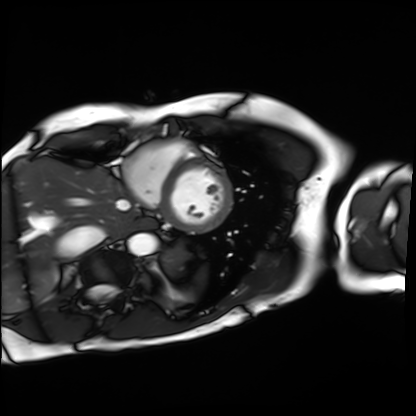
Q: What kind of scan is this?
A: Cardiac MRI.
Subject group: patient.